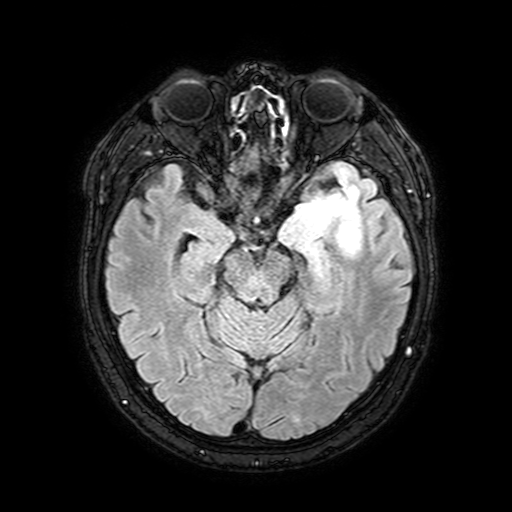
<record>
<modality>
  <type>brain MRI</type>
  <field_strength>3T</field_strength>
</modality>
<series>FLAIR with SPAIR, 3 mm</series>
<study_topic>ring-enhancing brain masses</study_topic>
</record>